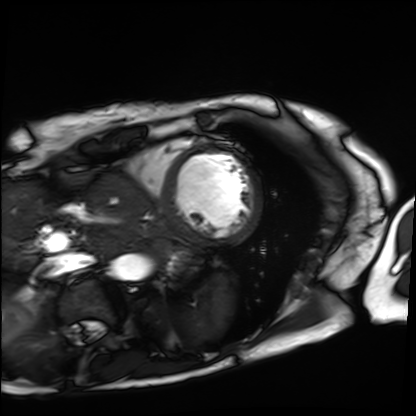
Cardiac MRI. Subject group: patient.